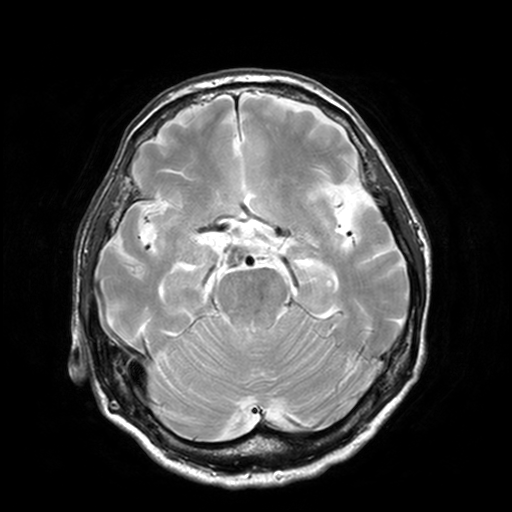
modality: 3 Tesla brain MRI | series: T2-weighted turbo spin echo, 3 mm | study: ring-enhancing brain masses.